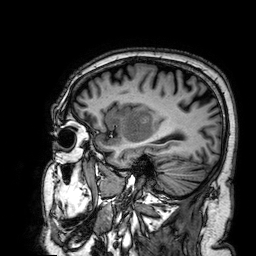
| field | value |
|---|---|
| modality | 3 Tesla brain MRI |
| series | 3D T1-weighted |
| study | ring-enhancing brain masses |